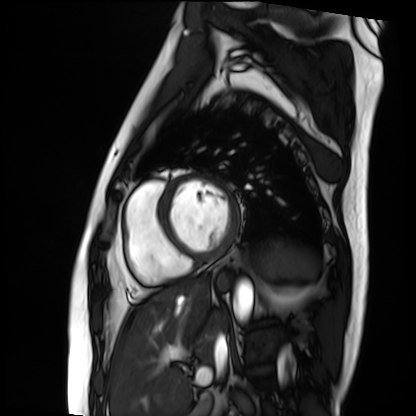
Cardiac MRI. Subject group: patient.